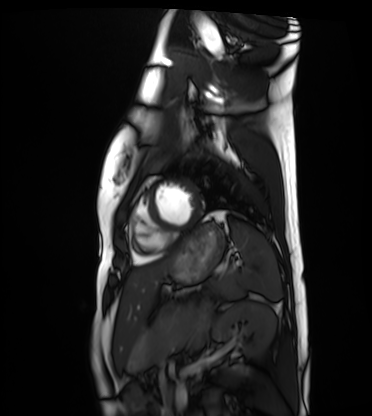
Clinical context:
Cardiac MRI. Subject group: healthy volunteer.